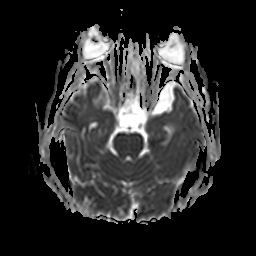
Case:
– modality · 3 Tesla brain MRI
– study · ring-enhancing brain masses